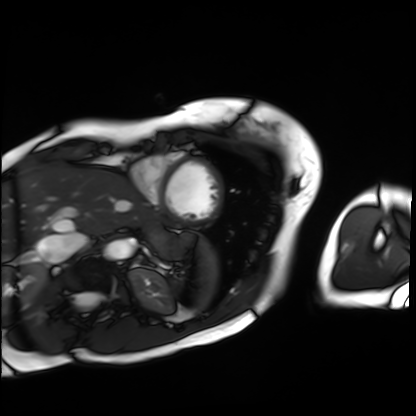
Summary: Cardiac MRI. Subject group: patient.